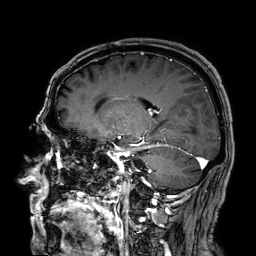
• modality: 3 Tesla brain MRI
• series: 3D T1-weighted
• study: ring-enhancing brain masses